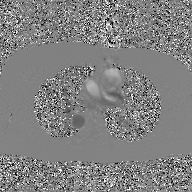
Case summary:
2D phase-contrast cine MRI of the ascending aorta, GAN super-resolution reconstruction.